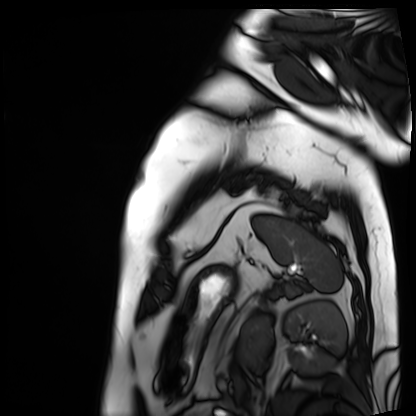
Case:
– modality: cardiac MRI
– subject group: patient